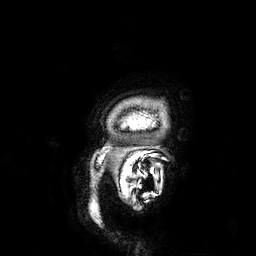
modality: 3 Tesla brain MRI | series: 3D T1-weighted | study: ring-enhancing brain masses.